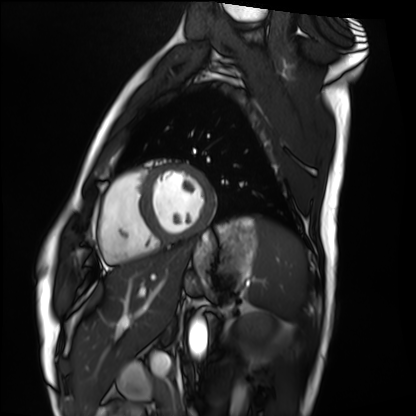
Cardiac MRI. Subject group: healthy volunteer.